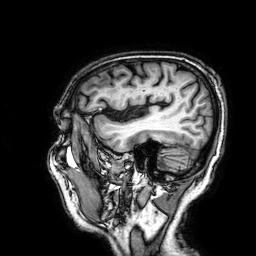
Summary: 3 Tesla brain MRI. Study: ring-enhancing brain masses.